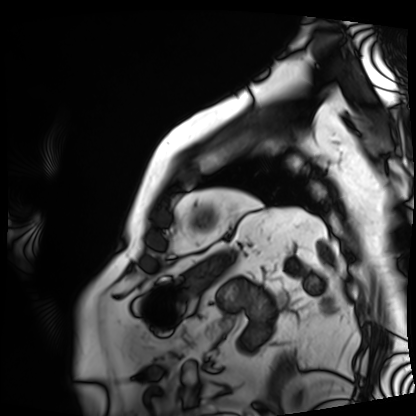
Q: What kind of scan is this?
A: Cardiac MRI.
Subject group: patient.